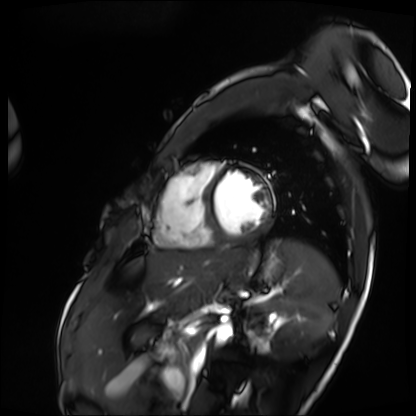
Cardiac MRI. Subject group: patient.